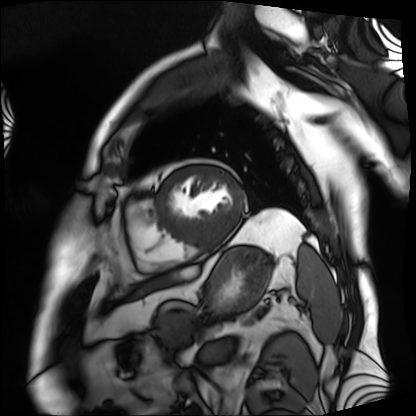
modality: cardiac MRI | subject group: patient.